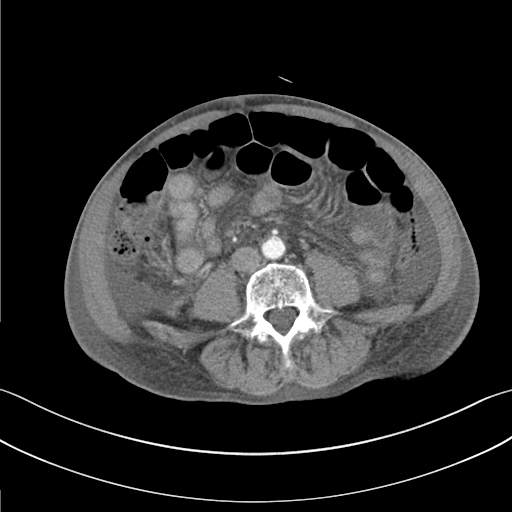
modality=multiphase abdominal CT, liver, arterial phase | patient=male, age 82.